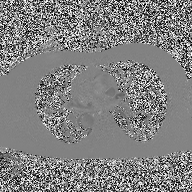
2D phase-contrast cine MRI of the ascending aorta, high-resolution GRAPPA acquisition.